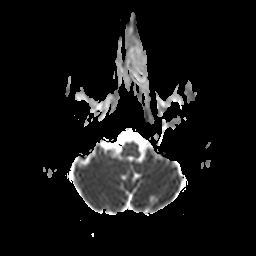
Summary:
3 Tesla brain MRI. Series: apparent diffusion coefficient (ADC) map. Study: ring-enhancing brain masses.